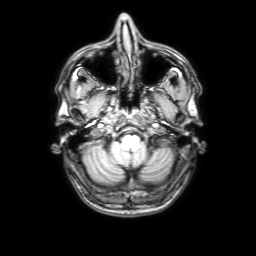
3 Tesla brain MRI. Series: 3D T1-weighted with SENSE. Study: ring-enhancing brain masses.